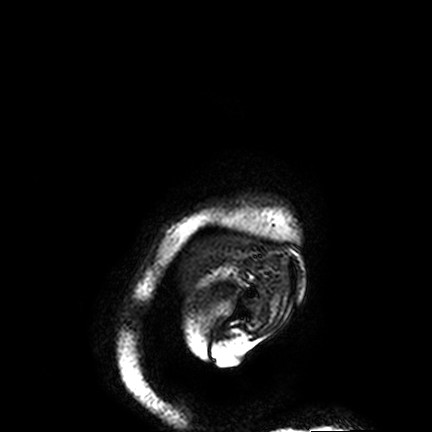
3 Tesla brain MRI. Series: FLAIR VISTA. Study: ring-enhancing brain masses.